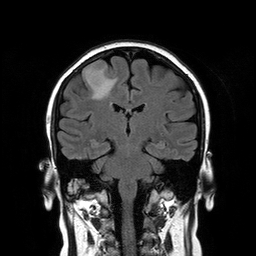
{
  "modality": {
    "type": "brain MRI",
    "field_strength": "3T"
  },
  "series": "T2-weighted FLAIR",
  "study_topic": "ring-enhancing brain masses"
}